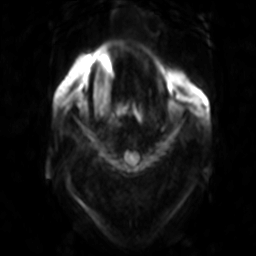
<case>
<modality>
  <type>brain MRI</type>
  <field_strength>3T</field_strength>
</modality>
<series>diffusion-weighted imaging</series>
<study_topic>ring-enhancing brain masses</study_topic>
</case>